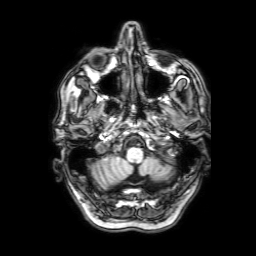
{"modality": {"type": "brain MRI", "field_strength": "3T"}, "series": "3D T1-weighted with SENSE", "study_topic": "ring-enhancing brain masses"}